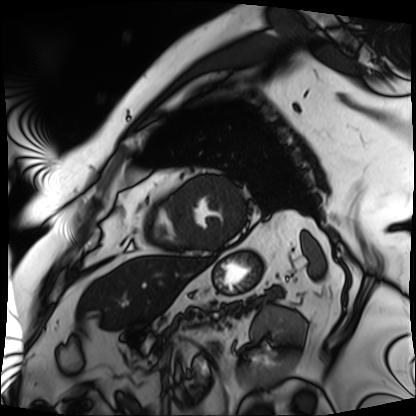
Clinical context: Cardiac MRI. Subject group: patient.